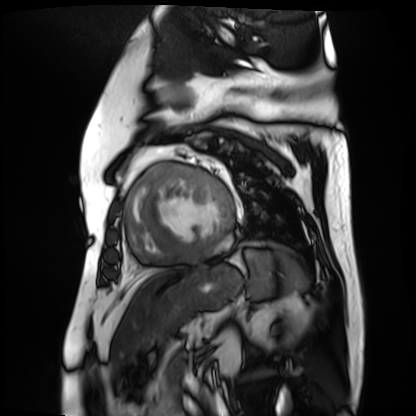
modality — cardiac MR image of the myocardium
subject cohort — cardiac patient